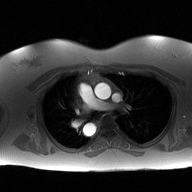
Summary:
2D phase-contrast cine MRI of the ascending aorta, high-resolution GRAPPA acquisition.